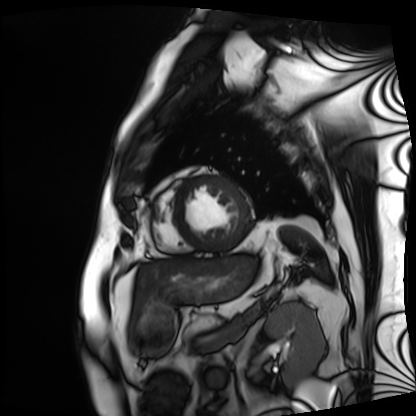
modality = cardiac MRI
subject group = patient